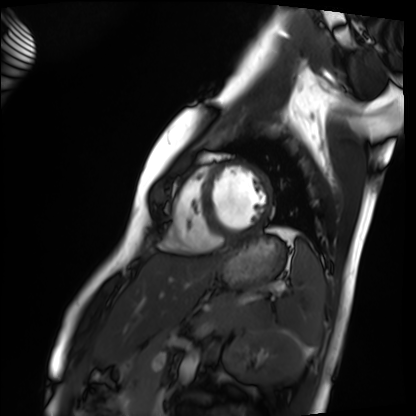
{
  "modality": "cardiac MRI",
  "cohort": "healthy volunteer"
}